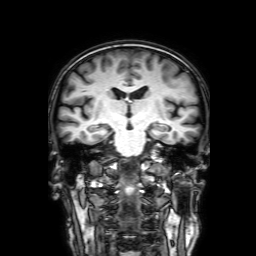
3 Tesla brain MRI. Series: 3D T1-weighted with SENSE. Study: ring-enhancing brain masses.